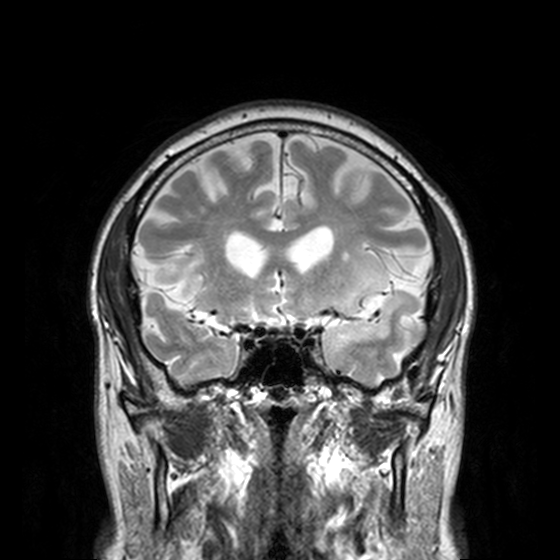
Summary:
3 Tesla brain MRI. Series: T2-weighted turbo spin echo, 3 mm. Study: ring-enhancing brain masses.